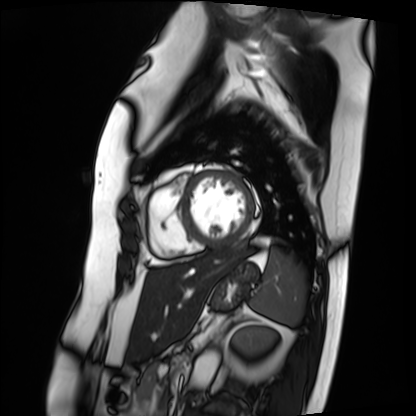
Cardiac MRI.
Subject group: patient.